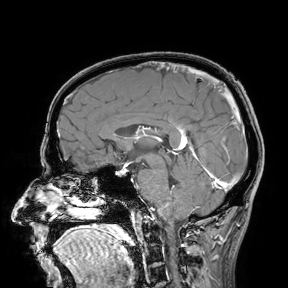
- modality: 3 Tesla brain MRI
- study: ring-enhancing brain masses